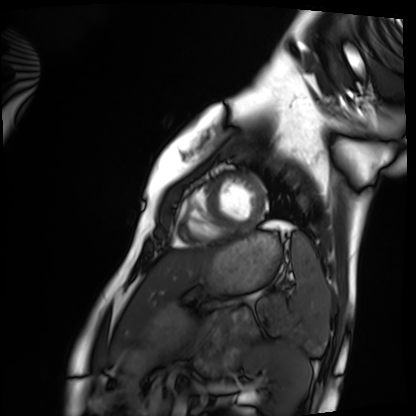
Clinical context: Cardiac MRI. Subject group: healthy volunteer.